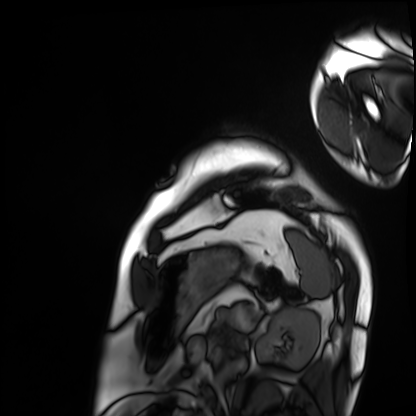
Summary: Cardiac MRI. Subject group: patient.